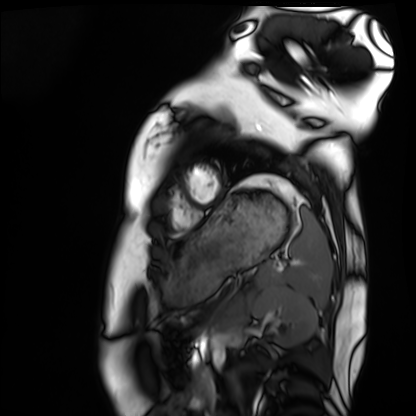
modality: cardiac MRI
cohort: healthy volunteer